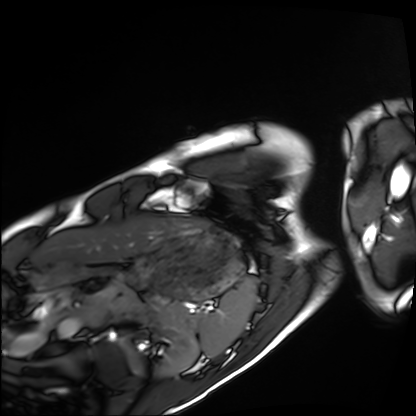
Summary:
Cardiac MRI. Subject group: healthy volunteer.